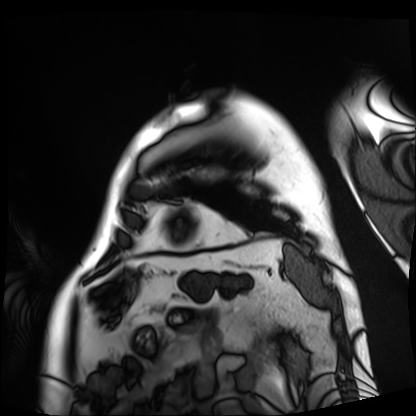
Q: What kind of scan is this?
A: Cardiac MRI.
Subject group: patient.